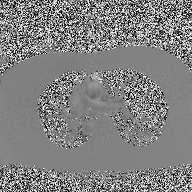
2D phase-contrast cine MRI of the ascending aorta, high-resolution GRAPPA acquisition.